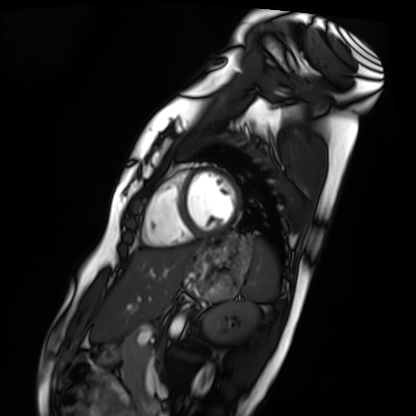
Cardiac MRI.
Subject group: healthy volunteer.